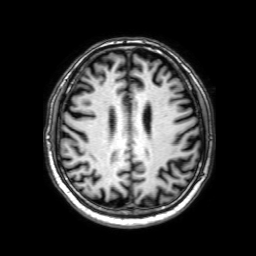
Summary: 3 Tesla brain MRI. Series: 3D T1-weighted with SENSE. Study: ring-enhancing brain masses.